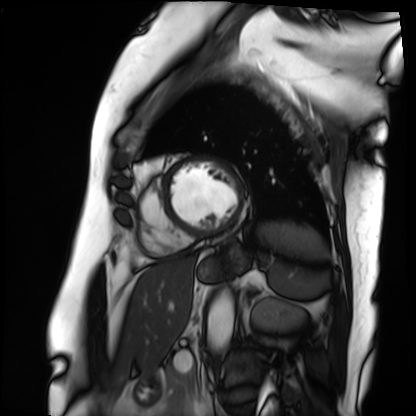
Summary: Cardiac MRI. Subject group: patient.